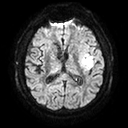
3 Tesla brain MRI. Series: diffusion tensor imaging (medium iso). Study: ring-enhancing brain masses.